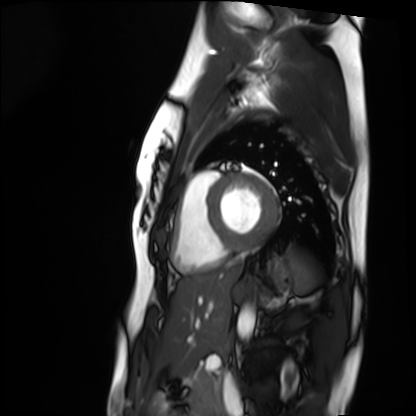
modality = cardiac MRI; subject group = healthy volunteer.